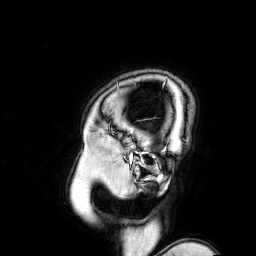
3 Tesla brain MRI.
Series: 3D T1-weighted turbo field echo with SENSE.
Study: ring-enhancing brain masses.